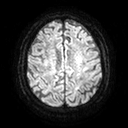
3 Tesla brain MRI.
Series: diffusion tensor imaging (medium iso).
Study: ring-enhancing brain masses.